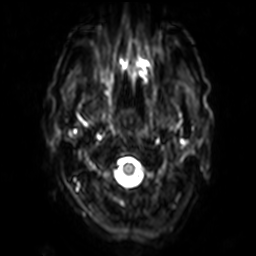
modality: 3 Tesla brain MRI
series: diffusion-weighted imaging with SENSE (WIP)
study: ring-enhancing brain masses